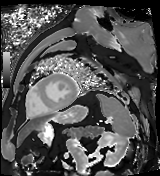
Cardiac MR image of the myocardium.
Subject cohort: cardiac patient.